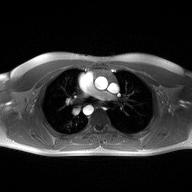
<record>
  <modality>
    <type>2D phase-contrast cine MRI</type>
    <region>ascending aorta</region>
    <reconstruction>high-resolution GRAPPA acquisition</reconstruction>
  </modality>
</record>